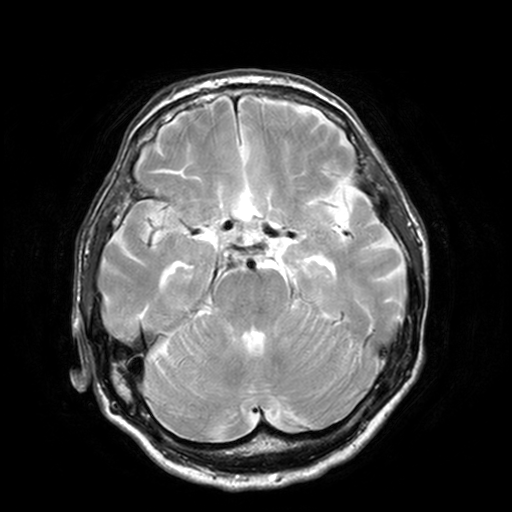
– modality — 3 Tesla brain MRI
– series — T2-weighted turbo spin echo, 3 mm
– study — ring-enhancing brain masses